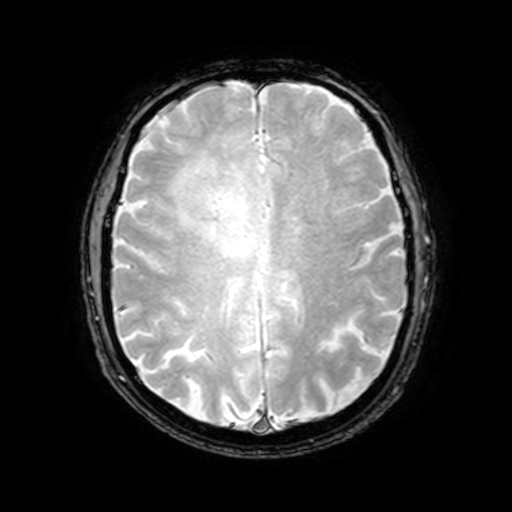
3 Tesla brain MRI.
Study: ring-enhancing brain masses.